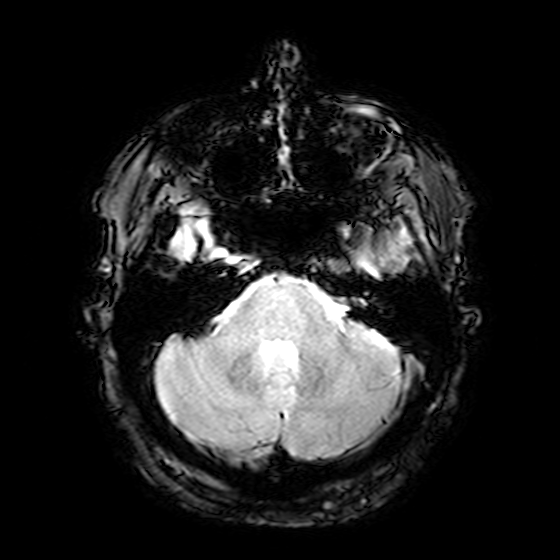
modality=3 Tesla brain MRI | series=T2-weighted fast field echo | study=ring-enhancing brain masses.